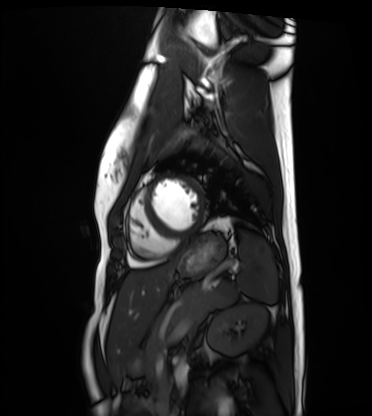
modality = cardiac MRI, subject group = healthy volunteer.